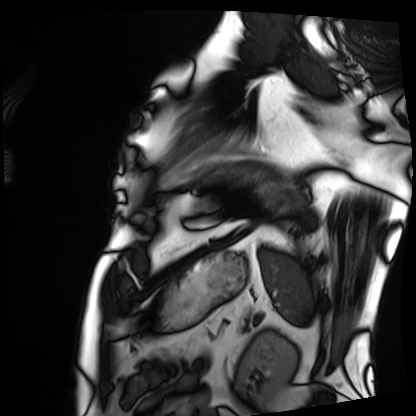
modality = cardiac MRI; subject group = patient.